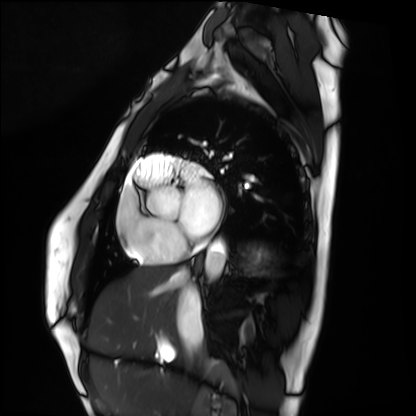
modality = cardiac MRI | subject group = healthy volunteer.